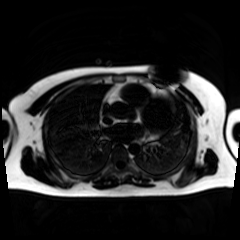
Summary: Chemical-shift-encoded cardiac MRI.